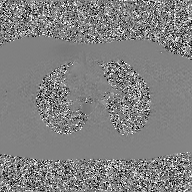
2D phase-contrast cine MRI of the ascending aorta, GAN super-resolution reconstruction.